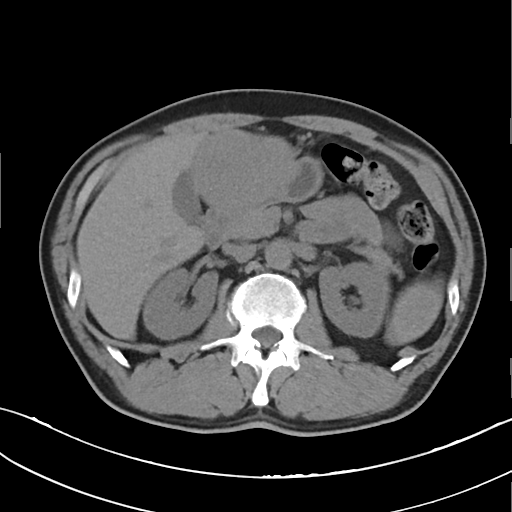
{
  "modality": {
    "type": "multiphase abdominal CT",
    "region": "liver",
    "phase": "non-contrast"
  },
  "patient": {
    "sex": "female",
    "age": 29
  }
}